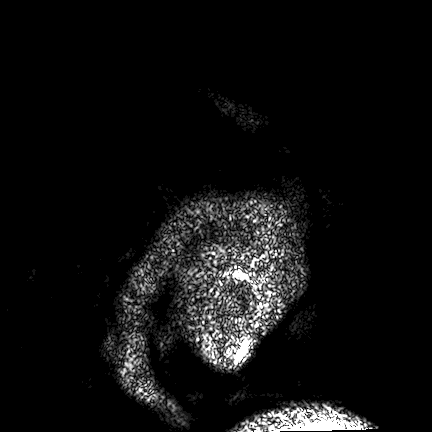
| field | value |
|---|---|
| modality | 3 Tesla brain MRI |
| series | FLAIR VISTA |
| study | ring-enhancing brain masses |